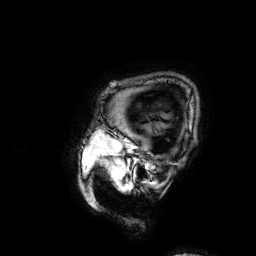
modality = 3 Tesla brain MRI; study = ring-enhancing brain masses.